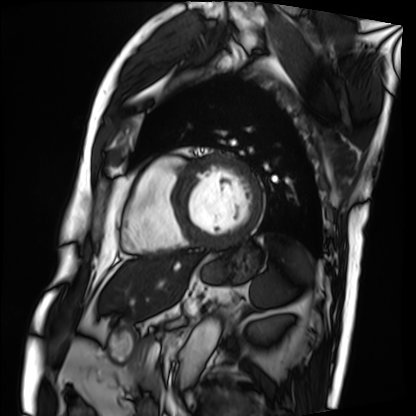
Cardiac MRI. Subject group: patient.